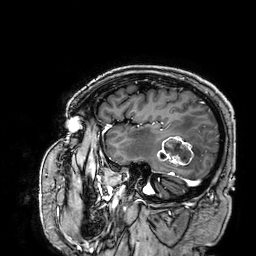
3 Tesla brain MRI. Series: 3D T1-weighted. Study: ring-enhancing brain masses.